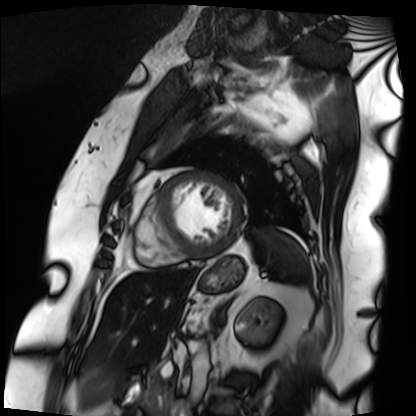
Cardiac MRI.
Subject group: patient.